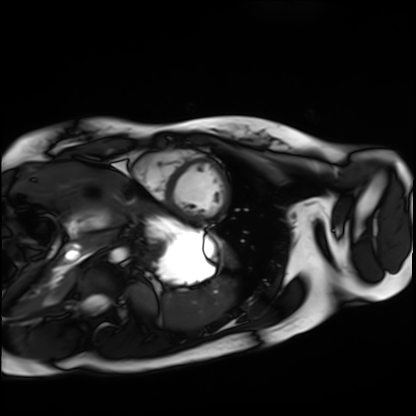
Cardiac MRI. Subject group: healthy volunteer.